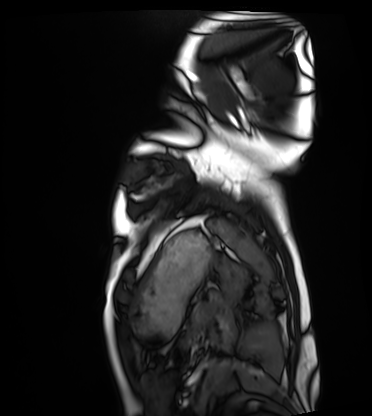
Q: What kind of scan is this?
A: Cardiac MRI.
Subject group: healthy volunteer.